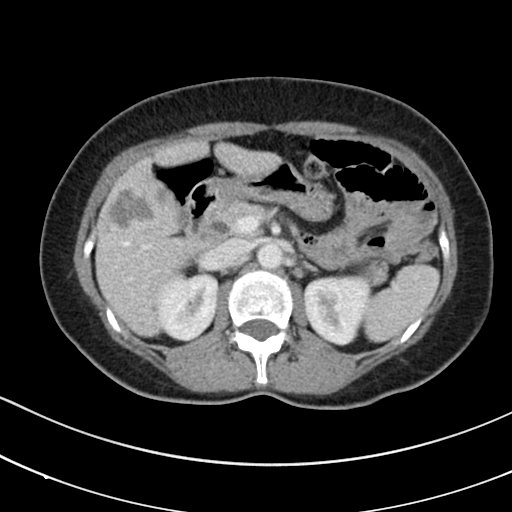
• modality · multiphase abdominal CT, liver, portal venous phase
• patient · female, age 53
• history · prior chemotherapy